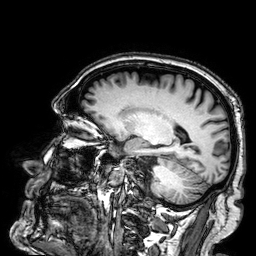
modality: 3 Tesla brain MRI
series: 3D T1-weighted
study: ring-enhancing brain masses